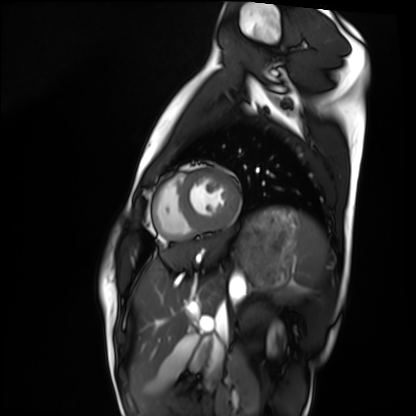
Cardiac MRI. Subject group: healthy volunteer.